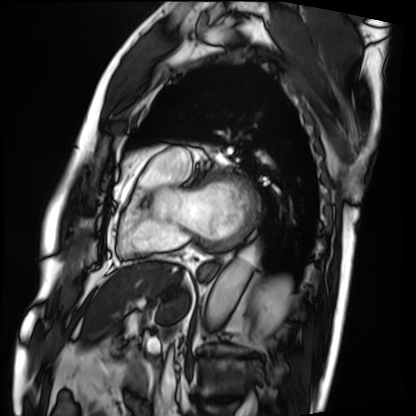
modality: cardiac MRI | subject group: patient.